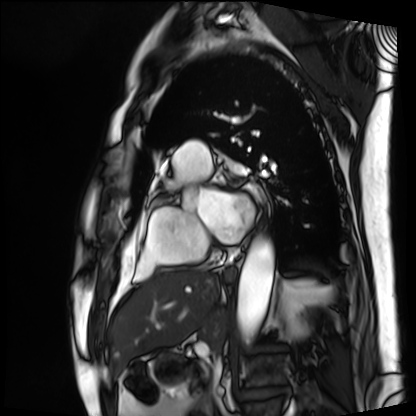
modality: cardiac MRI | subject group: patient.